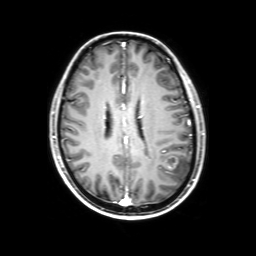
Clinical context:
3 Tesla brain MRI. Series: 3D T1-weighted with SENSE. Study: ring-enhancing brain masses.